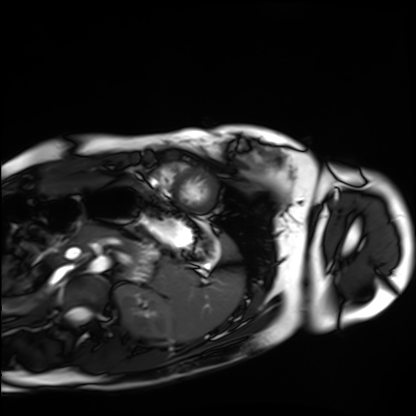
Q: What kind of scan is this?
A: Cardiac MRI.
Subject group: healthy volunteer.